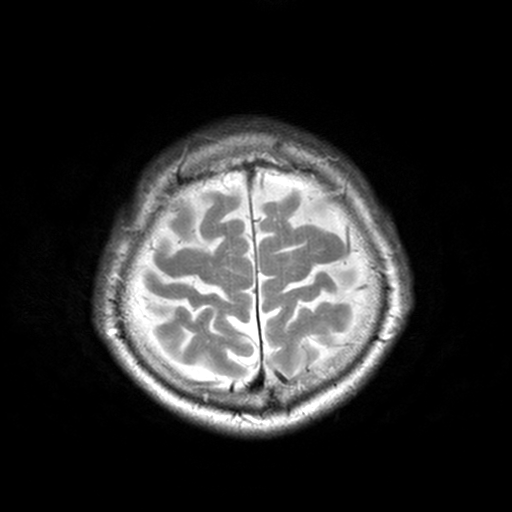
Summary: 3 Tesla brain MRI. Series: T2-weighted turbo spin echo, 3 mm. Study: ring-enhancing brain masses.